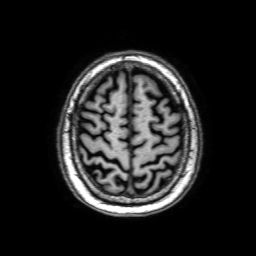
3 Tesla brain MRI. Series: 3D T1-weighted with SENSE. Study: ring-enhancing brain masses.